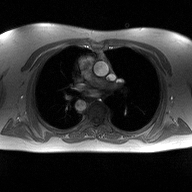
Q: What kind of scan is this?
A: 2D phase-contrast cine MRI of the ascending aorta.